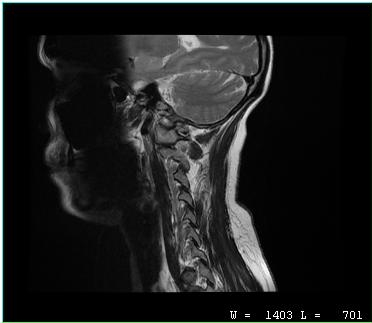
{"modality": {"type": "cervical spine MRI"}, "study_topic": "cervical spondylosis"}